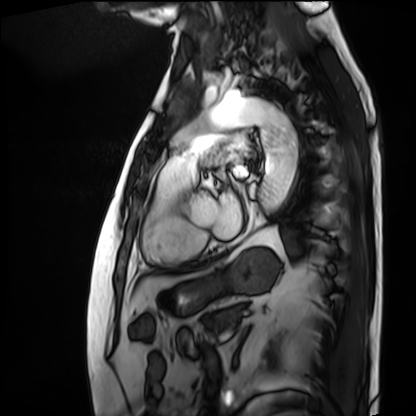
Cardiac MRI. Subject group: patient.